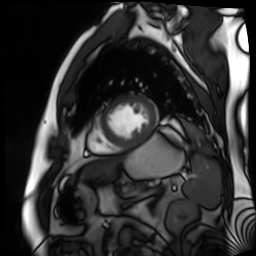
modality = cardiac MR image of the myocardium; subject cohort = cardiac patient.